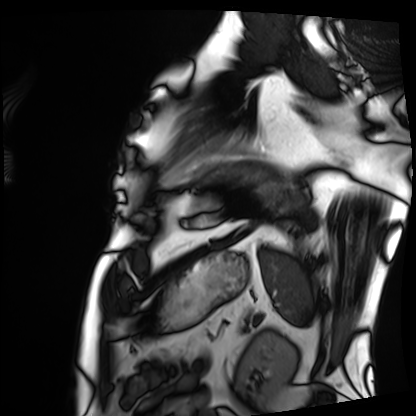
Summary:
Cardiac MRI. Subject group: patient.